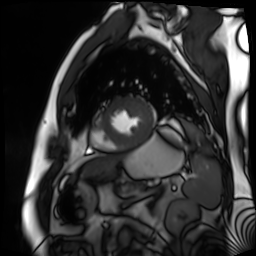
modality: cardiac MR image of the myocardium
subject cohort: cardiac patient